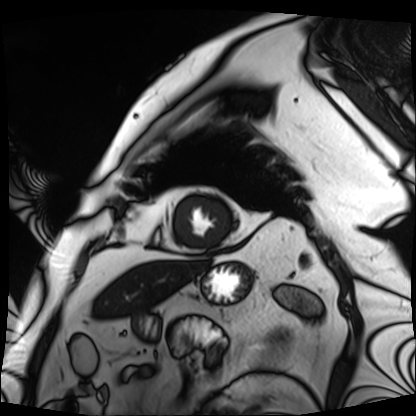
<study>
<modality>cardiac MRI</modality>
<cohort>patient</cohort>
</study>